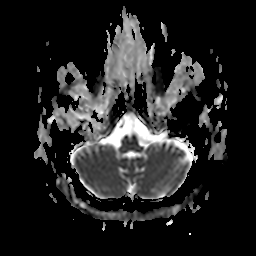
3 Tesla brain MRI. Study: ring-enhancing brain masses.